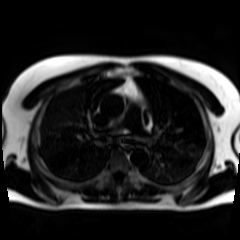
modality: chemical-shift-encoded cardiac MRI